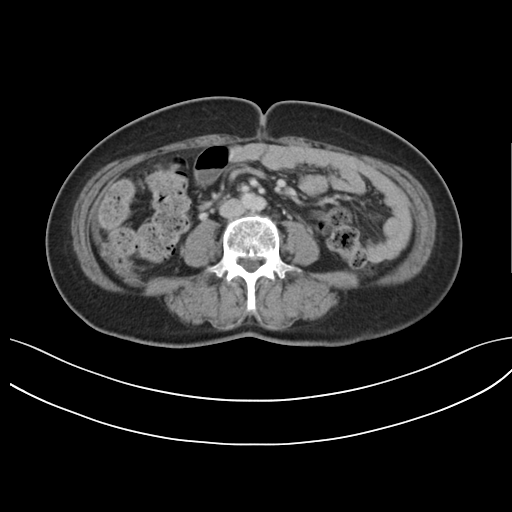
Clinical context:
Multiphase abdominal CT, liver, delayed phase. Patient: female, age 59.